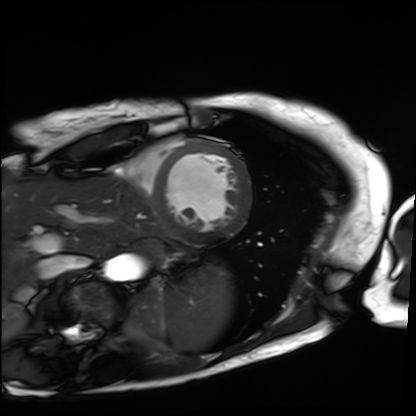
Case:
• modality — cardiac MRI
• subject group — patient